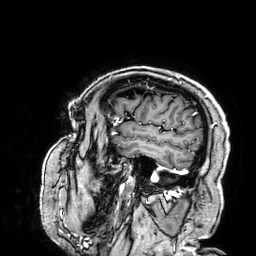
3 Tesla brain MRI.
Series: 3D T1-weighted.
Study: ring-enhancing brain masses.